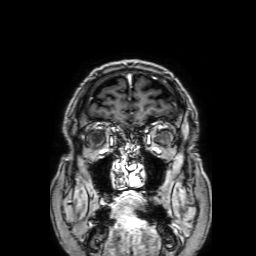
Clinical context: 3 Tesla brain MRI. Series: 3D T1-weighted with SENSE. Study: ring-enhancing brain masses.